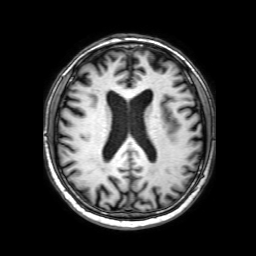
- modality: 3 Tesla brain MRI
- series: 3D T1-weighted with SENSE
- study: ring-enhancing brain masses